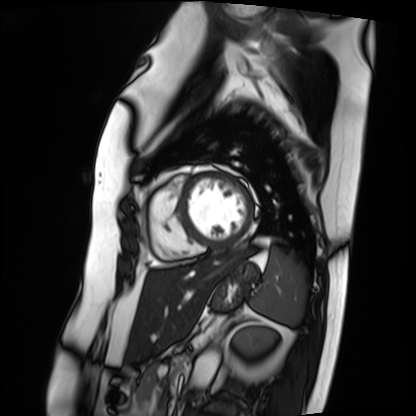
Summary:
Cardiac MRI. Subject group: patient.